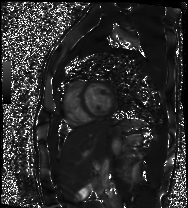
  modality: cardiac MR image of the myocardium
  cohort: healthy volunteer